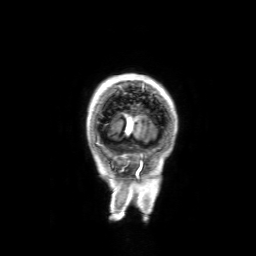
modality — 3 Tesla brain MRI
series — 3D T1-weighted with SENSE
study — ring-enhancing brain masses